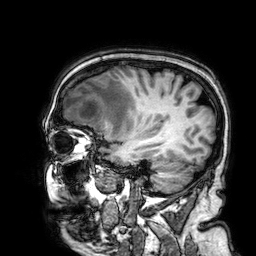
3 Tesla brain MRI. Series: 3D T1-weighted. Study: ring-enhancing brain masses.